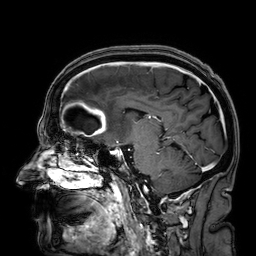
3 Tesla brain MRI. Series: 3D T1-weighted. Study: ring-enhancing brain masses.